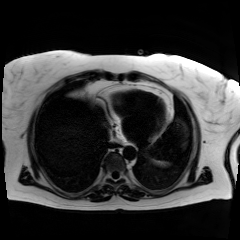
Summary:
Chemical-shift-encoded cardiac MRI.